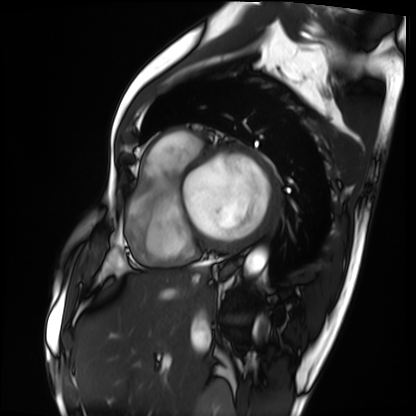
{"modality": "cardiac MRI", "cohort": "patient"}